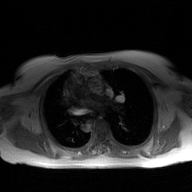
modality=2D phase-contrast cine MRI of the ascending aorta, GAN super-resolution reconstruction